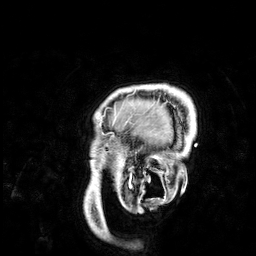
Q: What kind of scan is this?
A: 3 Tesla brain MRI.
Q: Series?
A: 3D T1-weighted.
Study: ring-enhancing brain masses.